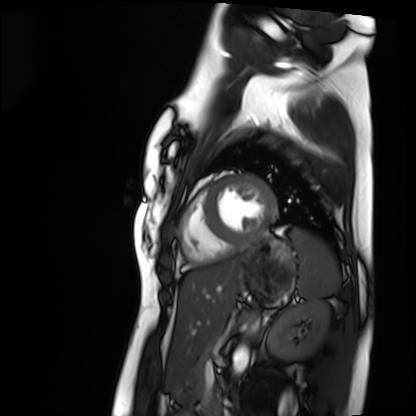
Q: What kind of scan is this?
A: Cardiac MRI.
Subject group: healthy volunteer.